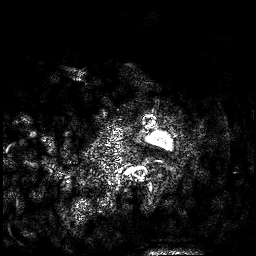
Q: What kind of scan is this?
A: 3 Tesla brain MRI.
Q: Series?
A: 3D T1-weighted.
Study: ring-enhancing brain masses.